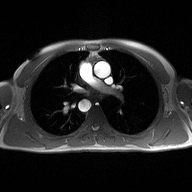
Summary:
2D phase-contrast cine MRI of the ascending aorta, high-resolution GRAPPA acquisition.